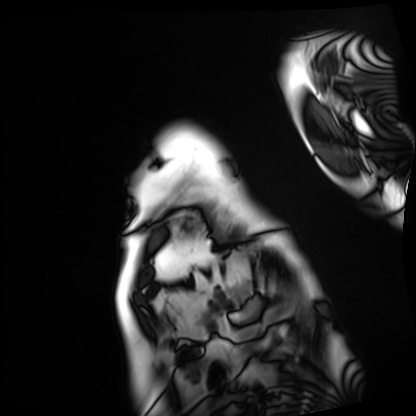
| field | value |
|---|---|
| modality | cardiac MRI |
| subject group | patient |